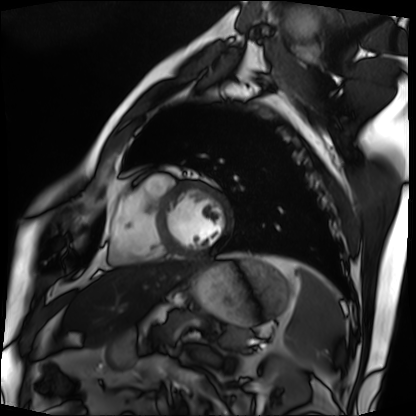
| field | value |
|---|---|
| modality | cardiac MRI |
| subject group | patient |